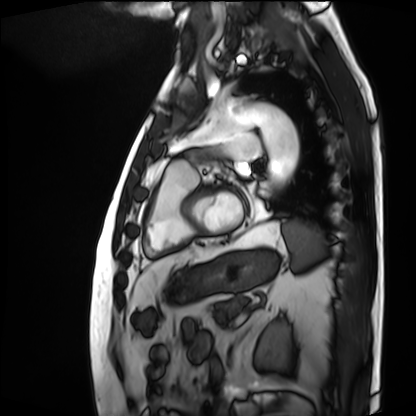
Cardiac MRI.
Subject group: patient.